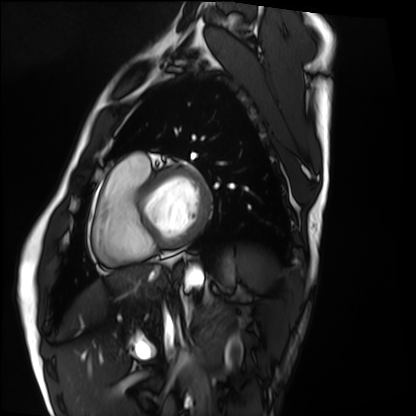
Cardiac MRI. Subject group: healthy volunteer.